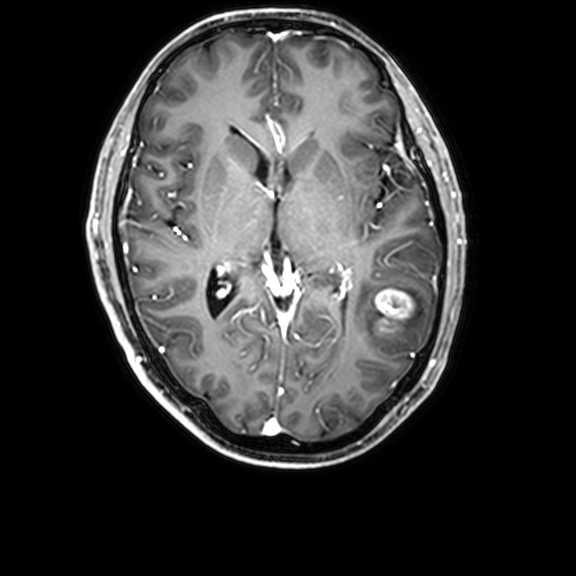
3 Tesla brain MRI. Series: 3D T1-weighted with CLEAR. Study: ring-enhancing brain masses.